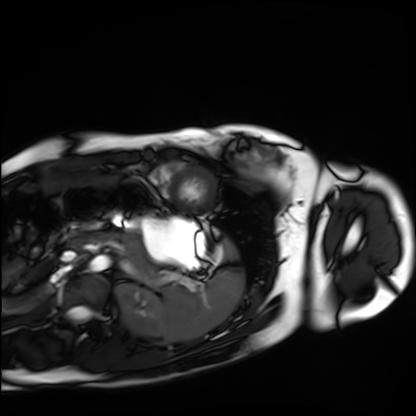
modality: cardiac MRI | subject group: healthy volunteer.